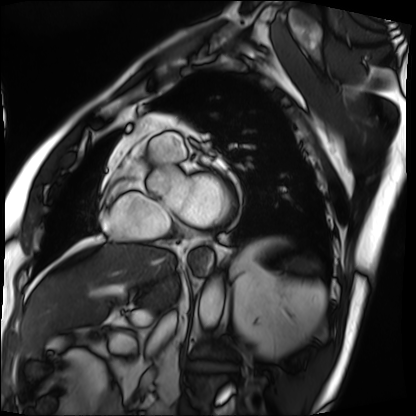
Cardiac MRI.
Subject group: patient.